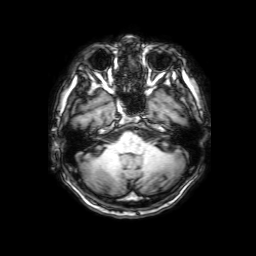
| field | value |
|---|---|
| modality | 3 Tesla brain MRI |
| series | 3D T1-weighted with SENSE |
| study | ring-enhancing brain masses |